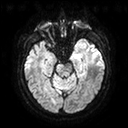
3 Tesla brain MRI. Series: diffusion tensor imaging (medium iso). Study: ring-enhancing brain masses.